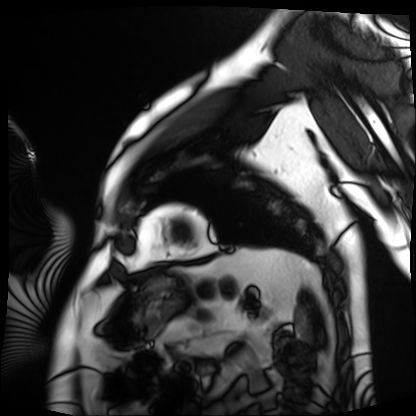
Clinical context:
Cardiac MRI. Subject group: patient.